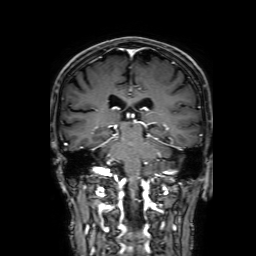
Summary:
3 Tesla brain MRI. Series: 3D T1-weighted with SENSE. Study: ring-enhancing brain masses.